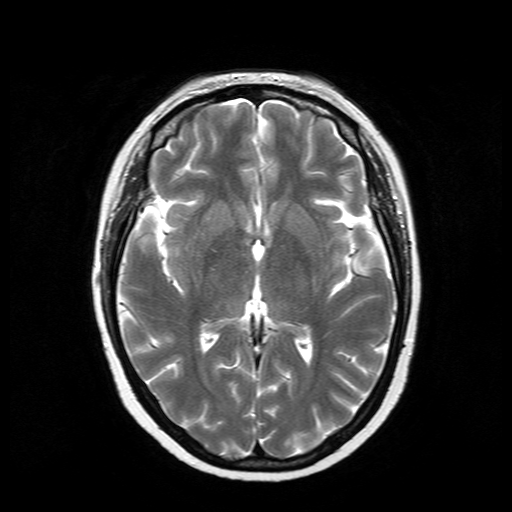
modality = 3 Tesla brain MRI
series = T2-weighted turbo spin echo
study = ring-enhancing brain masses